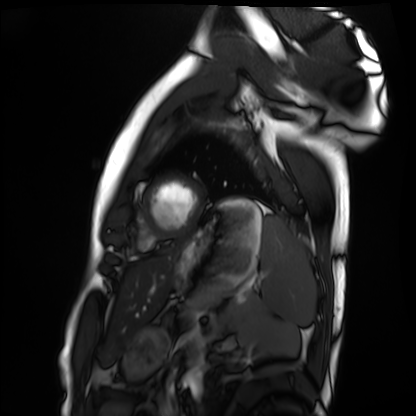
Summary: Cardiac MRI. Subject group: healthy volunteer.